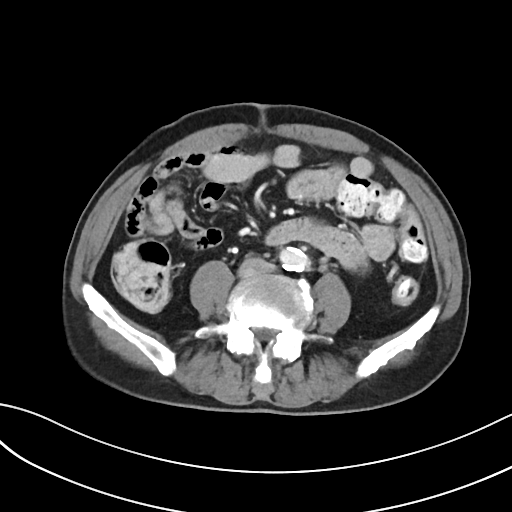
Summary:
Multiphase abdominal CT, liver, portal venous phase. Patient: male, age 76.